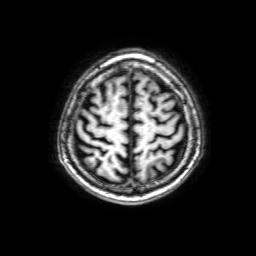
modality = 3 Tesla brain MRI; series = 3D T1-weighted with SENSE; study = ring-enhancing brain masses.